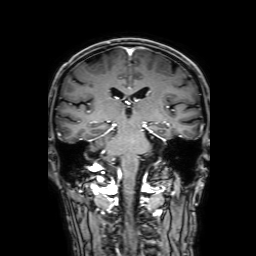
3 Tesla brain MRI.
Series: 3D T1-weighted with SENSE.
Study: ring-enhancing brain masses.